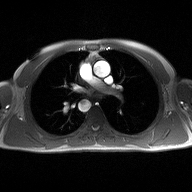
<study>
  <modality>
    <type>2D phase-contrast cine MRI</type>
    <region>ascending aorta</region>
    <reconstruction>high-resolution GRAPPA acquisition</reconstruction>
  </modality>
</study>